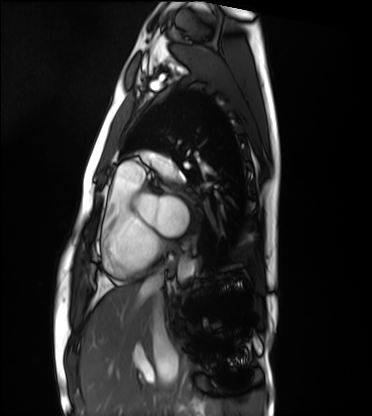
Case summary:
Cardiac MRI. Subject group: healthy volunteer.